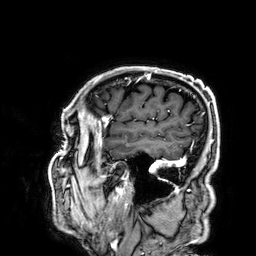
3 Tesla brain MRI.
Series: 3D T1-weighted.
Study: ring-enhancing brain masses.